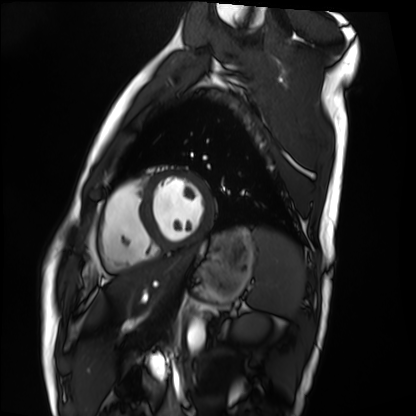
modality: cardiac MRI; subject group: healthy volunteer.